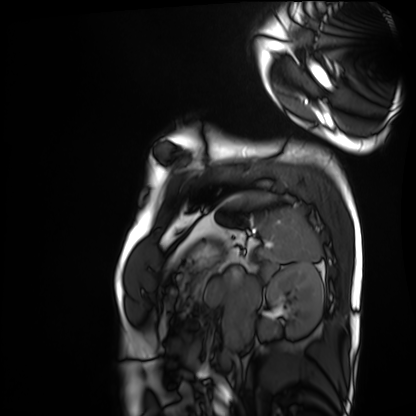
Q: What kind of scan is this?
A: Cardiac MRI.
Subject group: healthy volunteer.